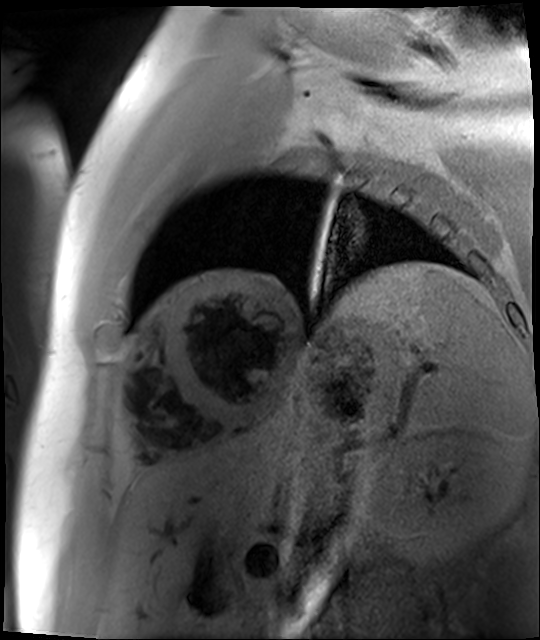
Cardiac MR image of the myocardium. Subject cohort: cardiac patient.